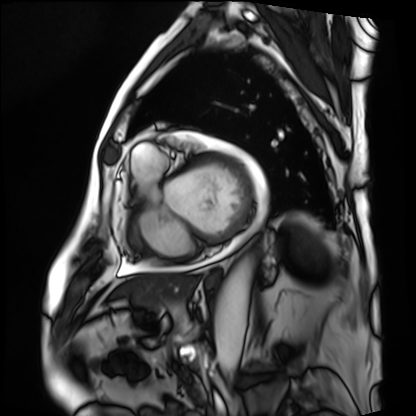
– modality — cardiac MRI
– subject group — patient